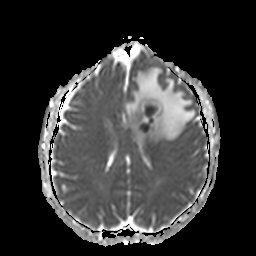
modality = 3 Tesla brain MRI
series = apparent diffusion coefficient (ADC) map
study = ring-enhancing brain masses